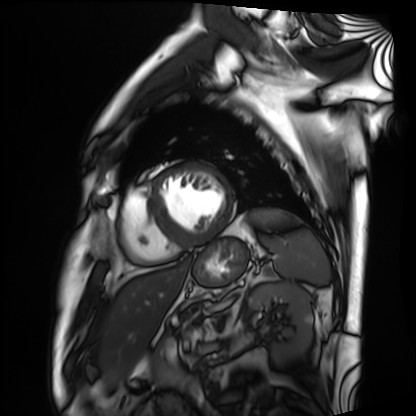
{
  "modality": "cardiac MRI",
  "cohort": "patient"
}